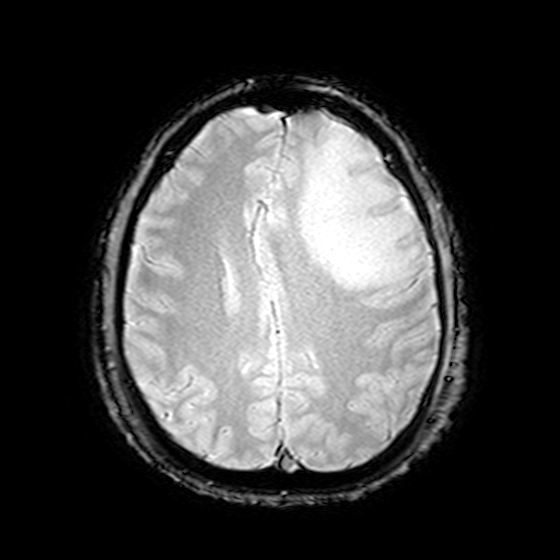
3 Tesla brain MRI. Series: T2-weighted fast field echo. Study: ring-enhancing brain masses.